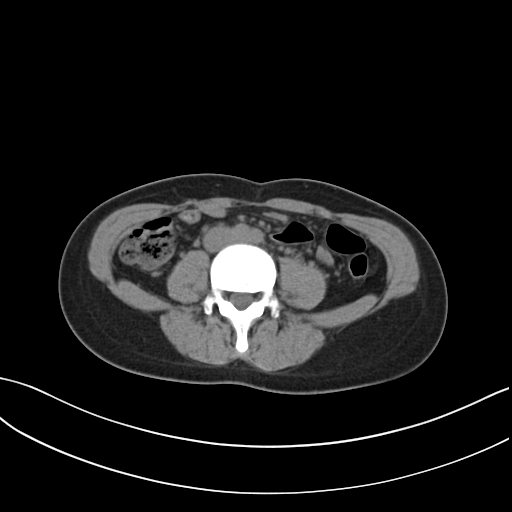
Summary: Multiphase abdominal CT, liver, non-contrast phase. Patient: female, age 32. History: prior chemotherapy.